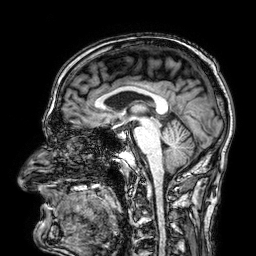
3 Tesla brain MRI. Series: 3D T1-weighted. Study: ring-enhancing brain masses.